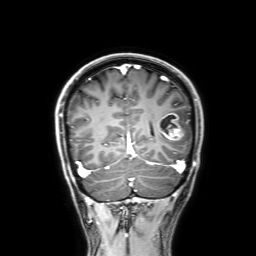
modality = 3 Tesla brain MRI; series = 3D T1-weighted with SENSE; study = ring-enhancing brain masses.